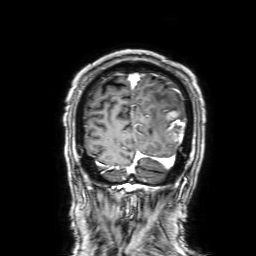
3 Tesla brain MRI.
Series: 3D T1-weighted with SENSE.
Study: ring-enhancing brain masses.